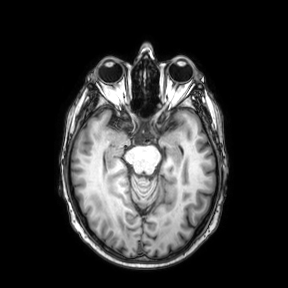
modality: 3 Tesla brain MRI; series: axial; study: ring-enhancing brain masses.